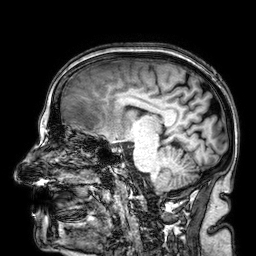
3 Tesla brain MRI.
Series: 3D T1-weighted.
Study: ring-enhancing brain masses.